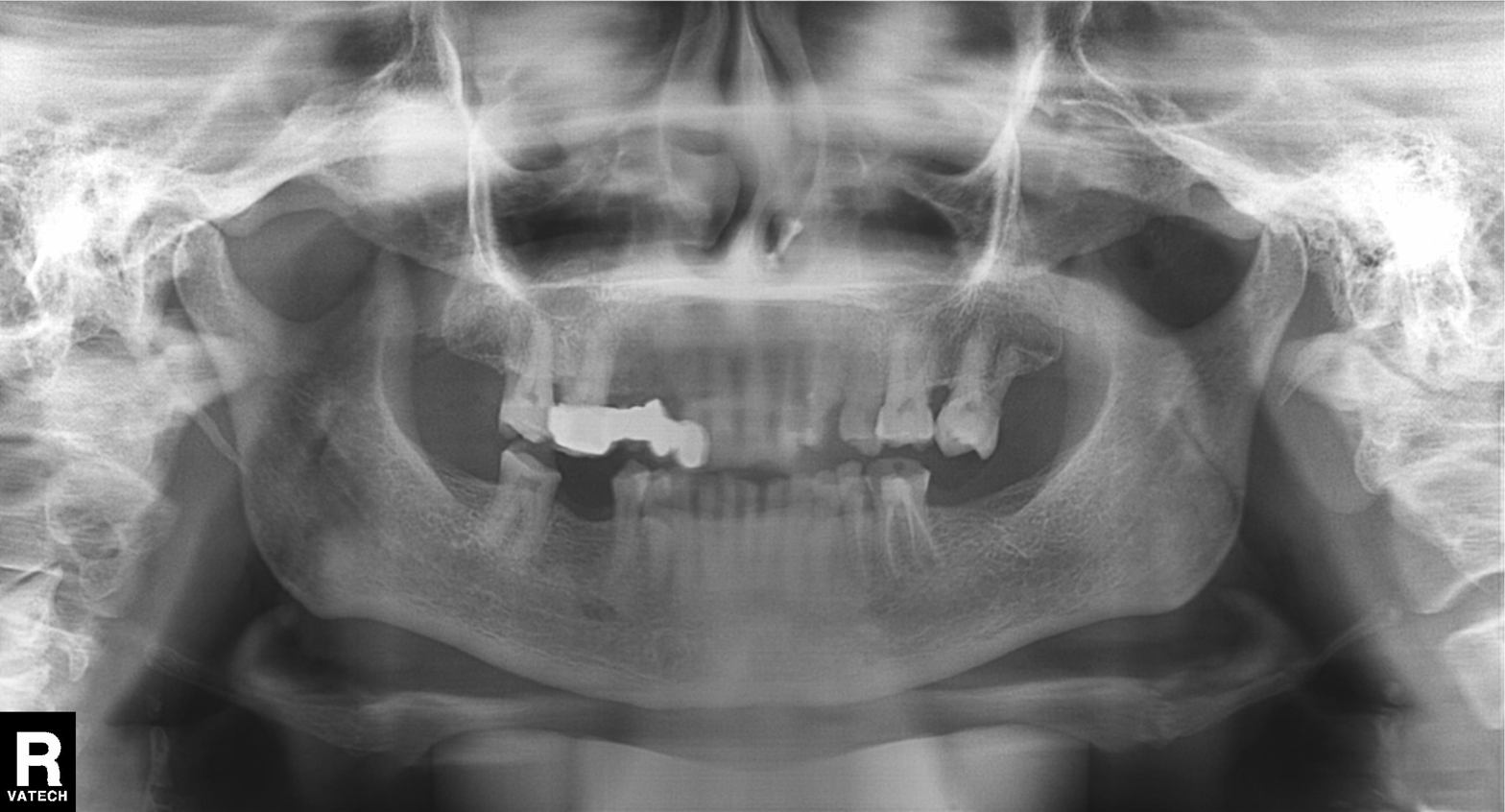
{
  "modality": "panoramic dental radiograph (orthopantomogram)",
  "finding": "dental caries (cavities)"
}